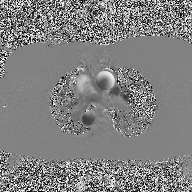
Case:
- modality — 2D phase-contrast cine MRI of the ascending aorta